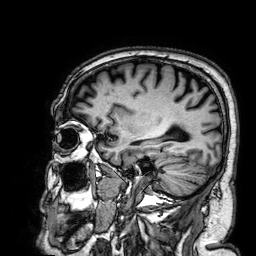
Q: What kind of scan is this?
A: 3 Tesla brain MRI.
Q: Series?
A: 3D T1-weighted.
Study: ring-enhancing brain masses.